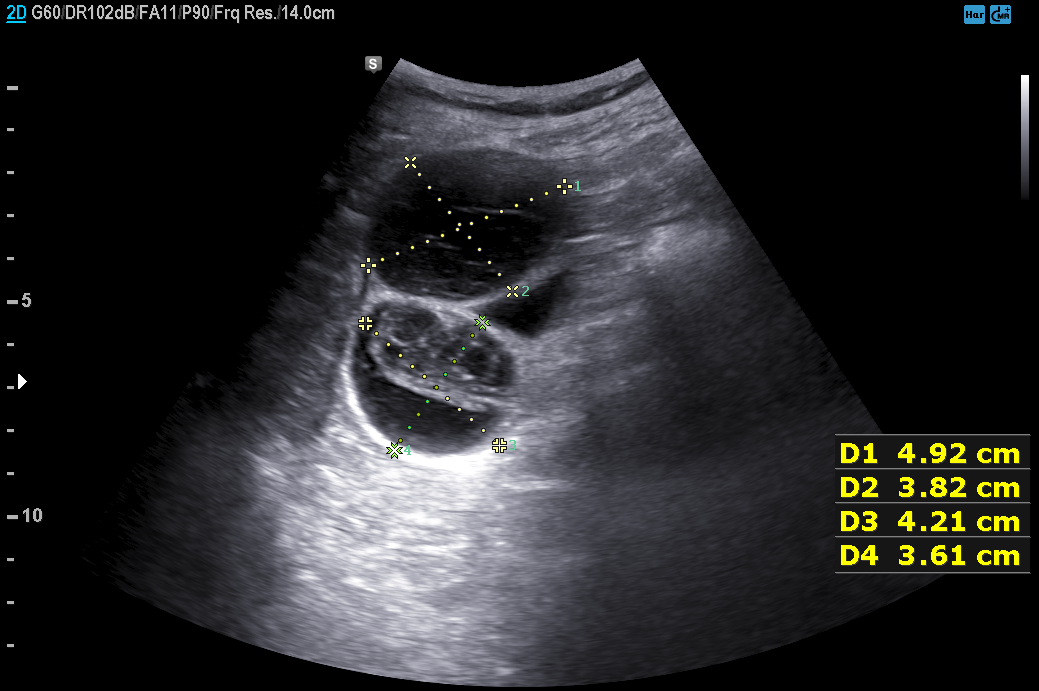
modality — genitourinary ultrasound.